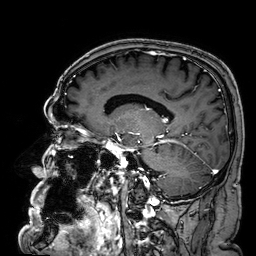
3 Tesla brain MRI. Series: 3D T1-weighted. Study: ring-enhancing brain masses.